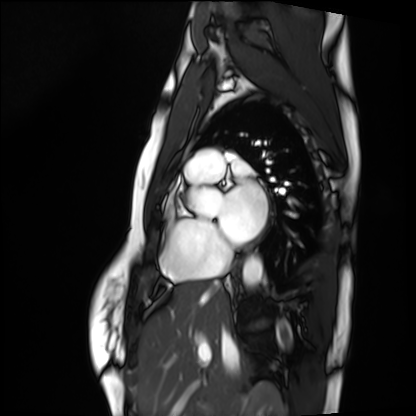
modality — cardiac MRI
subject group — healthy volunteer